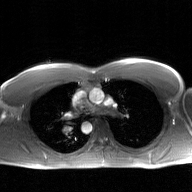
Summary:
2D phase-contrast cine MRI of the ascending aorta, GAN super-resolution reconstruction.